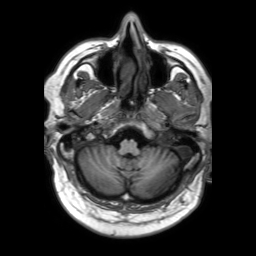
<record>
<modality>
  <type>brain MRI</type>
  <field_strength>3T</field_strength>
</modality>
<series>3D T1-weighted TFE with SENSE</series>
<study_topic>ring-enhancing brain masses</study_topic>
</record>